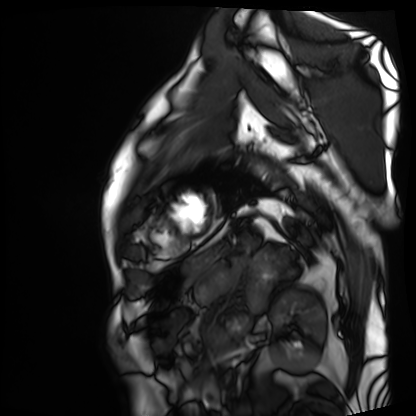
modality — cardiac MRI; subject group — patient.